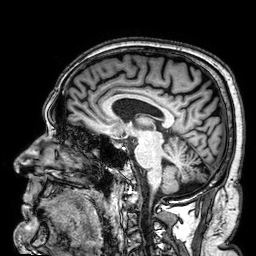
Clinical context:
3 Tesla brain MRI. Series: 3D T1-weighted. Study: ring-enhancing brain masses.